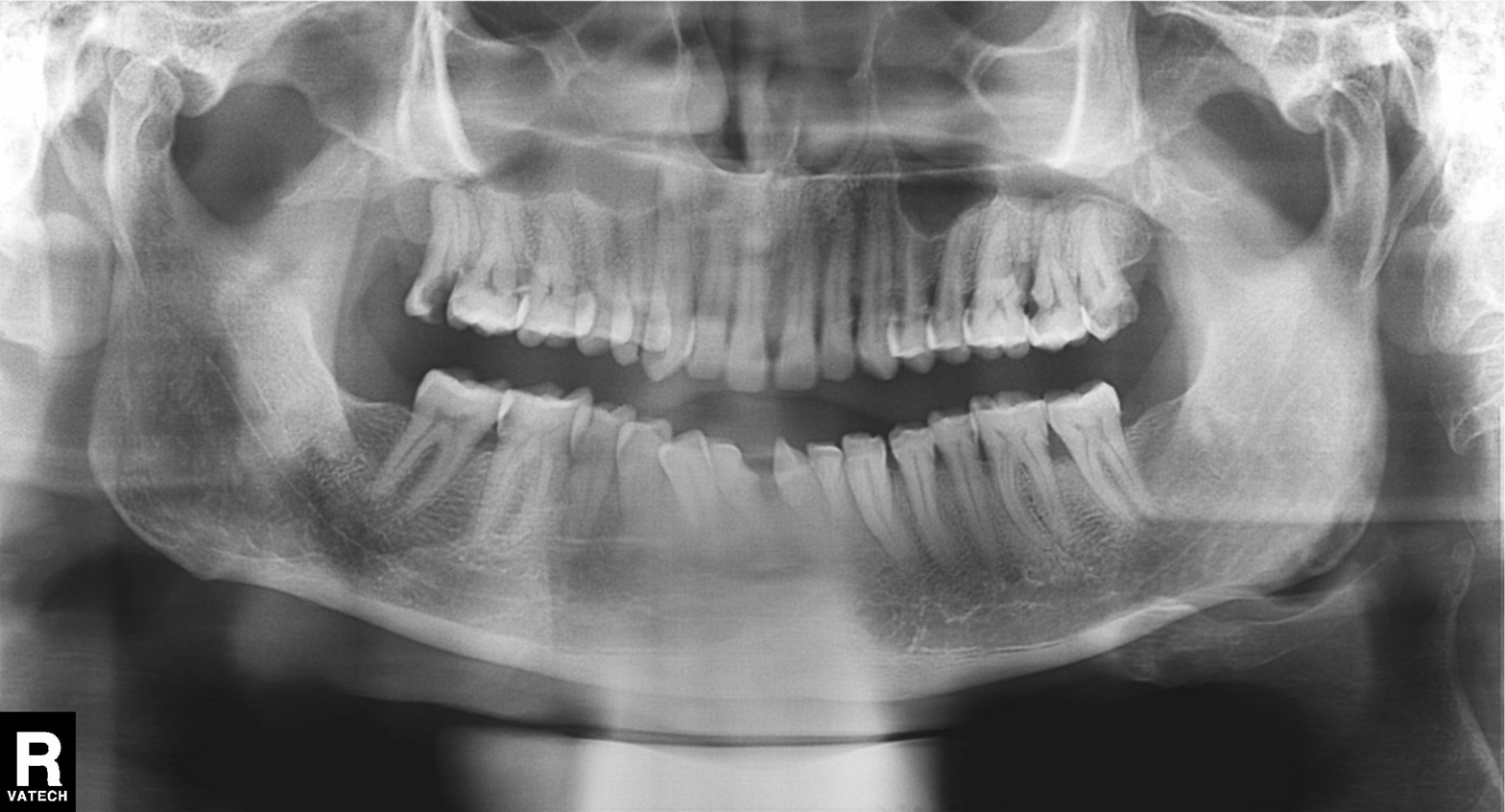
Q: What kind of scan is this?
A: Panoramic dental radiograph (orthopantomogram).
Q: What is the radiographic finding?
A: Dental caries (cavities).